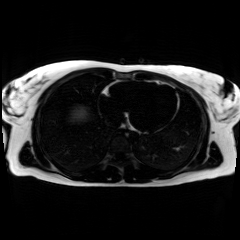
| field | value |
|---|---|
| modality | chemical-shift-encoded cardiac MRI |